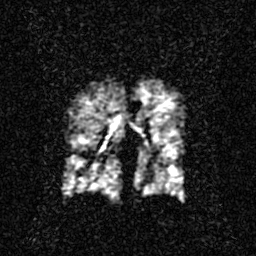
modality: hyperpolarized 129Xe ventilation MRI of the lungs, SNR level: 2 of 8 (the deposit holds this scan as its native image and as seven SNR-degraded versions).